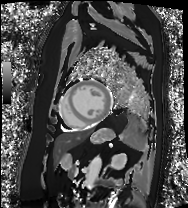
modality: cardiac MRI
subject group: patient